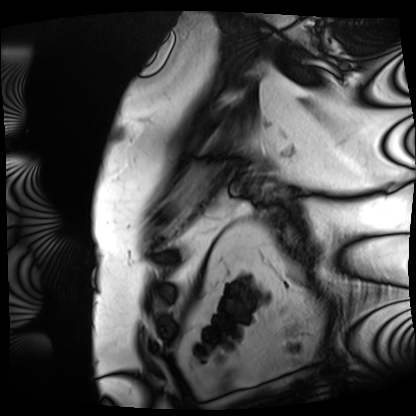
modality: cardiac MRI | subject group: patient.